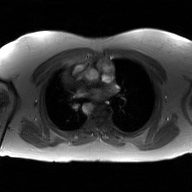
2D phase-contrast cine MRI of the ascending aorta, GAN super-resolution reconstruction.